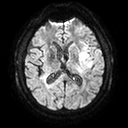
3 Tesla brain MRI. Series: diffusion tensor imaging (medium iso). Study: ring-enhancing brain masses.